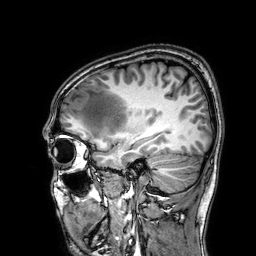
Clinical context:
3 Tesla brain MRI. Series: 3D T1-weighted. Study: ring-enhancing brain masses.